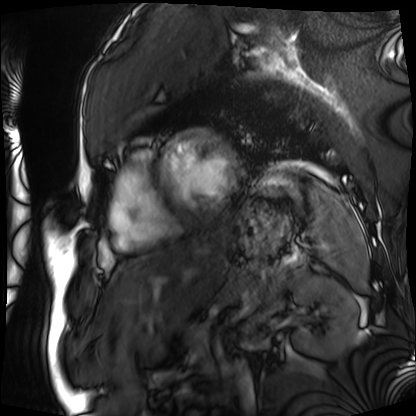
Cardiac MRI.
Subject group: patient.